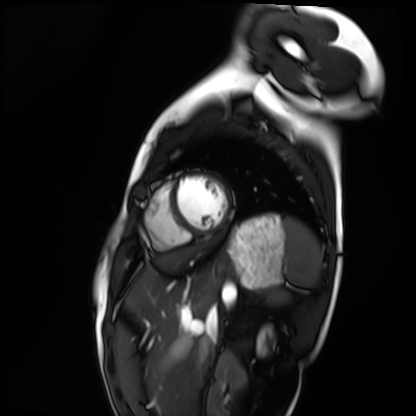
modality = cardiac MRI | subject group = healthy volunteer.